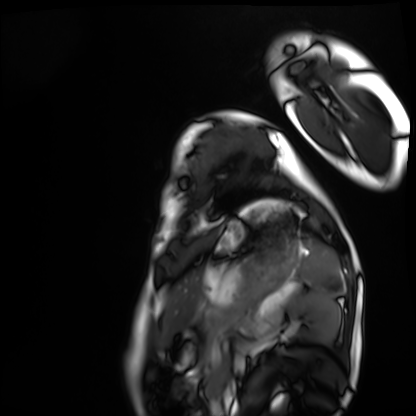
• modality · cardiac MRI
• subject group · healthy volunteer